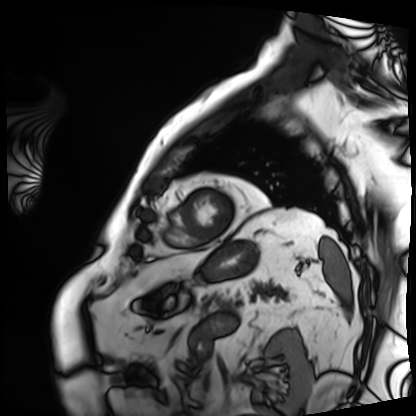
modality — cardiac MRI
subject group — patient